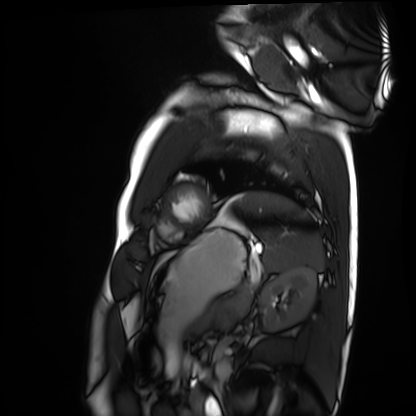
Cardiac MRI. Subject group: healthy volunteer.